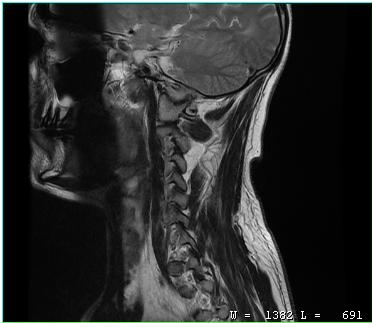
- modality · MRI of the cervical spine
- study · cervical spondylosis